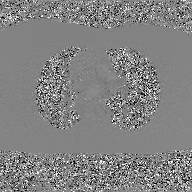
modality=2D phase-contrast cine MRI of the ascending aorta, GAN super-resolution reconstruction.